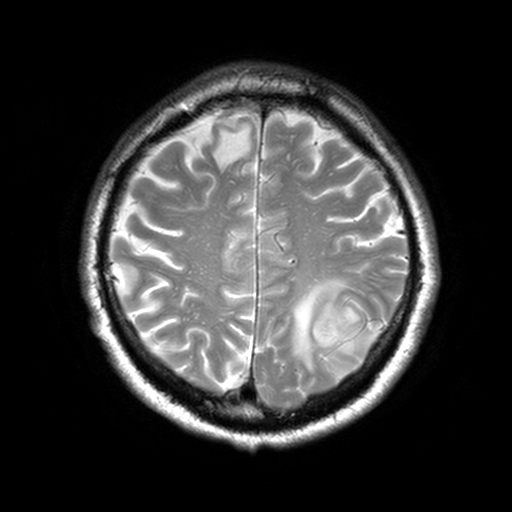
{"modality": {"type": "brain MRI", "field_strength": "3T"}, "series": "T2-weighted turbo spin echo, 3 mm", "study_topic": "ring-enhancing brain masses"}